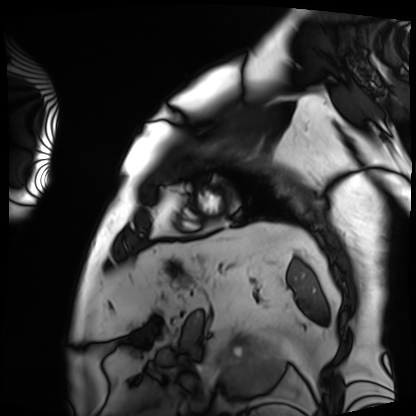
Cardiac MRI. Subject group: patient.